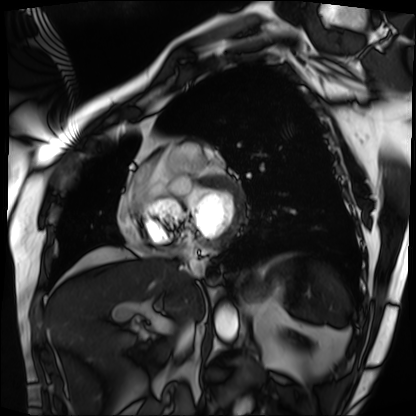
Cardiac MRI.
Subject group: patient.